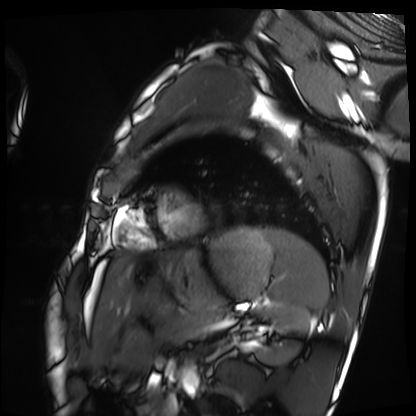
| field | value |
|---|---|
| modality | cardiac MRI |
| subject group | healthy volunteer |